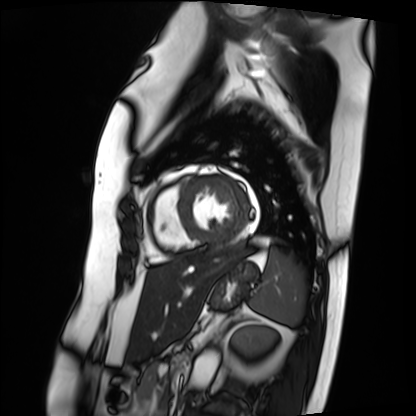
Summary:
Cardiac MRI. Subject group: patient.